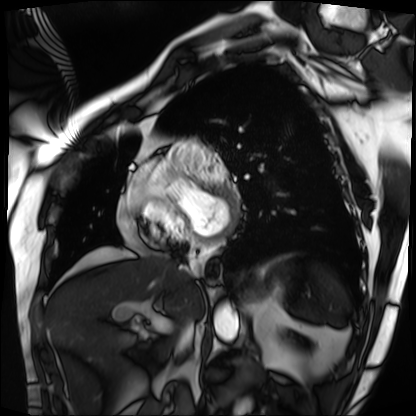
<record>
<modality>cardiac MRI</modality>
<cohort>patient</cohort>
</record>